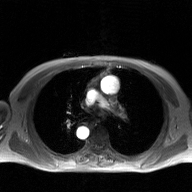
Summary: 2D phase-contrast cine MRI of the ascending aorta, GAN super-resolution reconstruction.